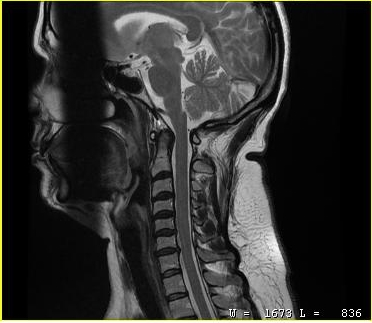
Q: What kind of scan is this?
A: MRI of the cervical spine.
Study: cervical spondylosis.